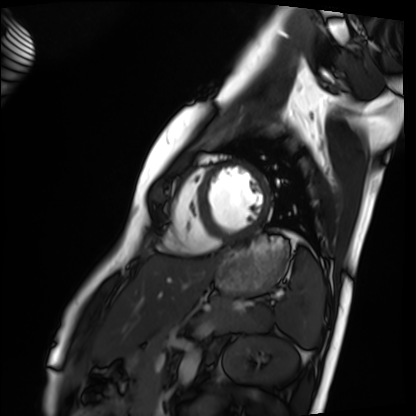
Cardiac MRI. Subject group: healthy volunteer.